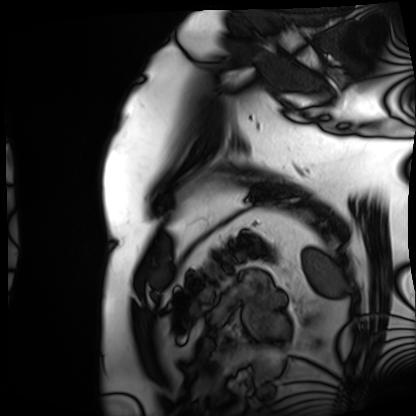
modality — cardiac MRI | subject group — patient.